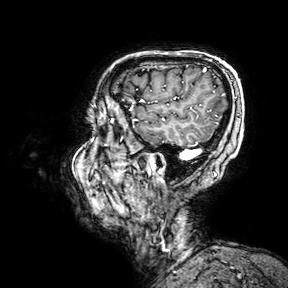
Clinical context: 3 Tesla brain MRI. Series: 3D T1-weighted turbo field echo with SENSE. Study: ring-enhancing brain masses.